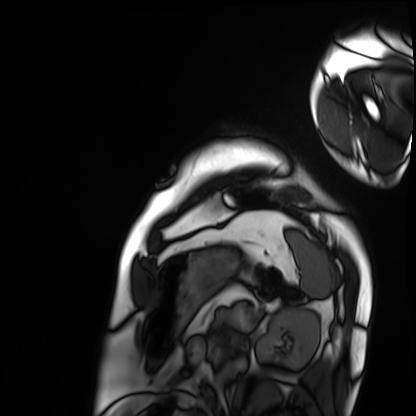
Cardiac MRI.
Subject group: patient.